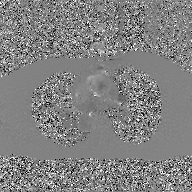
Clinical context: 2D phase-contrast cine MRI of the ascending aorta, GAN super-resolution reconstruction.